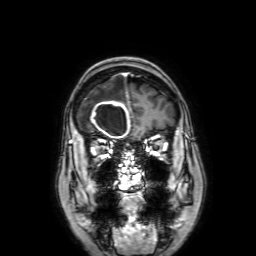
Summary:
3 Tesla brain MRI. Series: 3D T1-weighted with SENSE. Study: ring-enhancing brain masses.